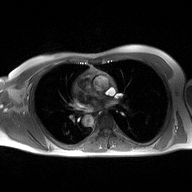
Summary:
2D phase-contrast cine MRI of the ascending aorta, high-resolution GRAPPA acquisition.